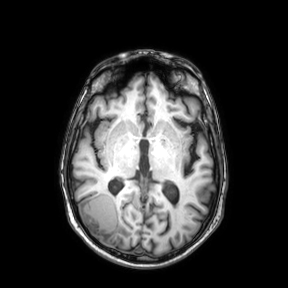
  modality:
    type: brain MRI
    field_strength: 3T
  series: axial
  study_topic: ring-enhancing brain masses